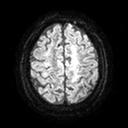
Q: What kind of scan is this?
A: 3 Tesla brain MRI.
Q: Series?
A: Diffusion tensor imaging (medium iso).
Study: ring-enhancing brain masses.